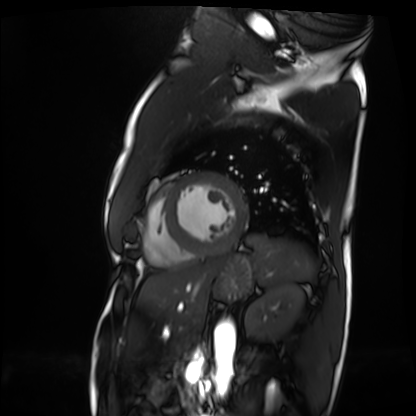
– modality · cardiac MRI
– subject group · patient